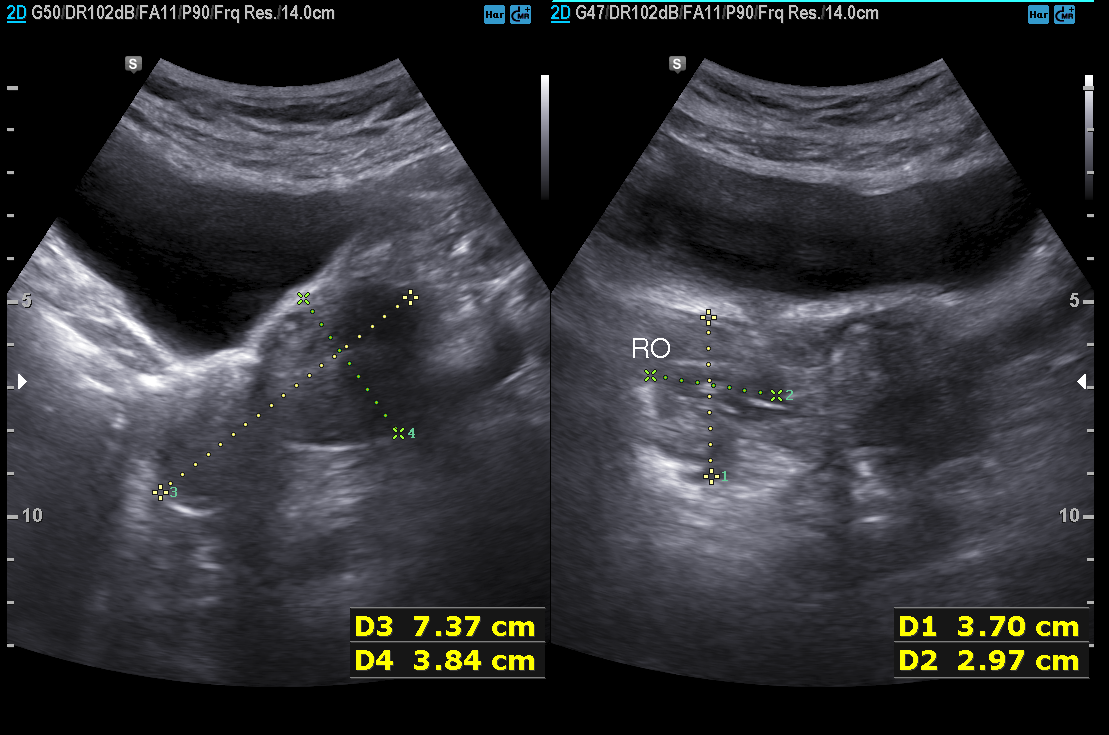
– modality — genitourinary ultrasound